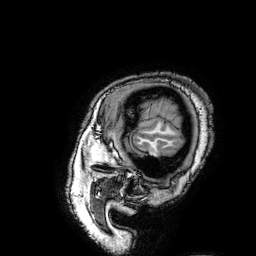
<scan>
<modality>
  <type>brain MRI</type>
  <field_strength>3T</field_strength>
</modality>
<series>3D T1-weighted turbo field echo with SENSE</series>
<study_topic>ring-enhancing brain masses</study_topic>
</scan>